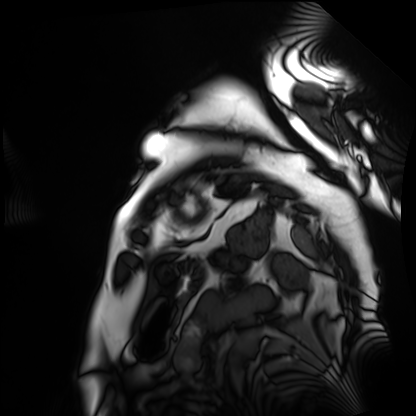
Cardiac MRI. Subject group: patient.